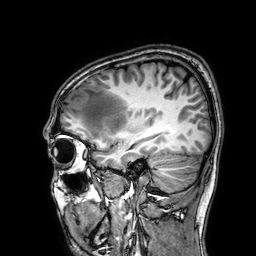
Case summary: 3 Tesla brain MRI. Series: 3D T1-weighted. Study: ring-enhancing brain masses.